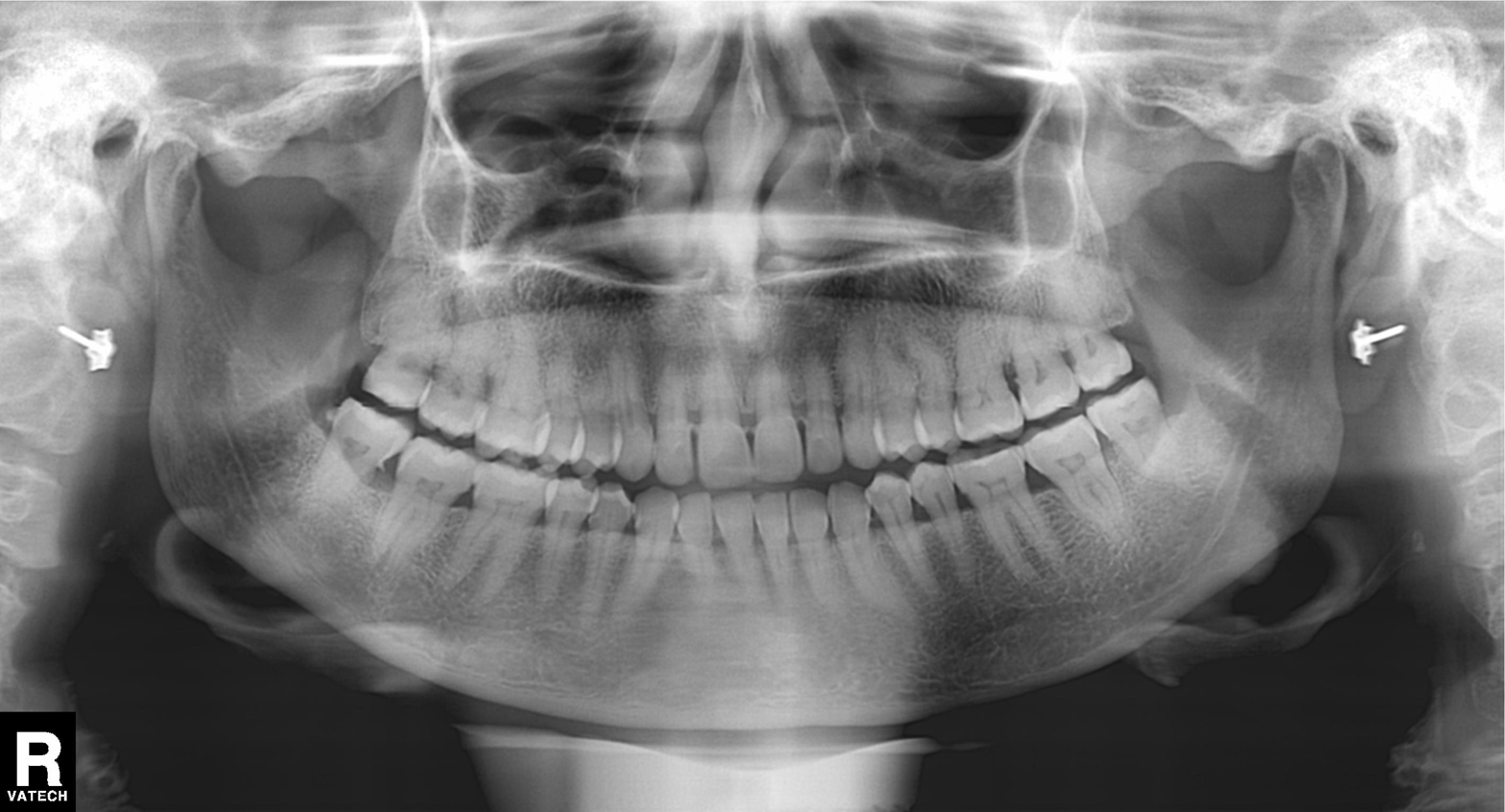
Panoramic dental radiograph (orthopantomogram).
Finding: dental caries (cavities).